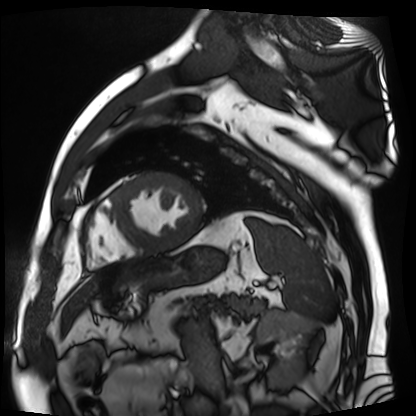
Cardiac MR image of the myocardium.
Subject cohort: cardiac patient.